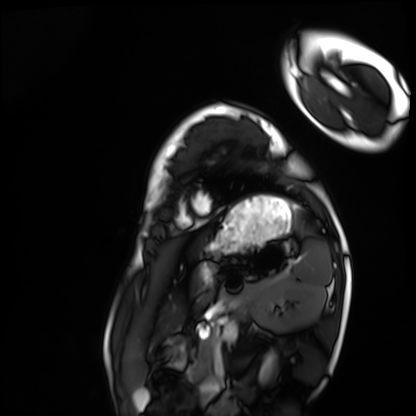
Cardiac MRI. Subject group: healthy volunteer.